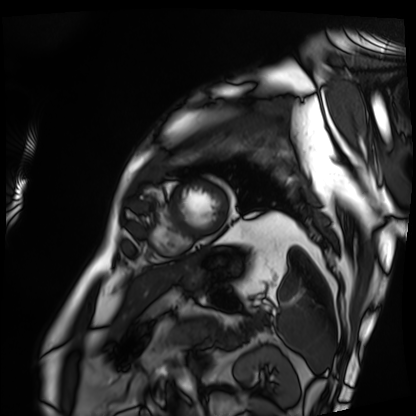
Cardiac MRI. Subject group: patient.